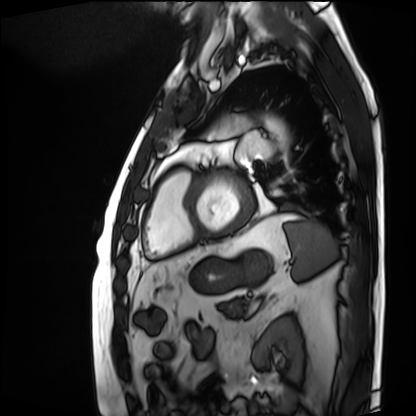
{
  "modality": "cardiac MRI",
  "cohort": "patient"
}